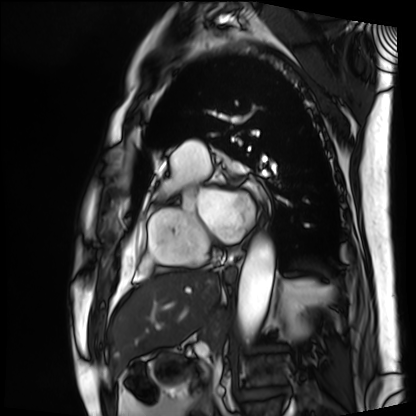
<case>
  <modality>cardiac MRI</modality>
  <cohort>patient</cohort>
</case>